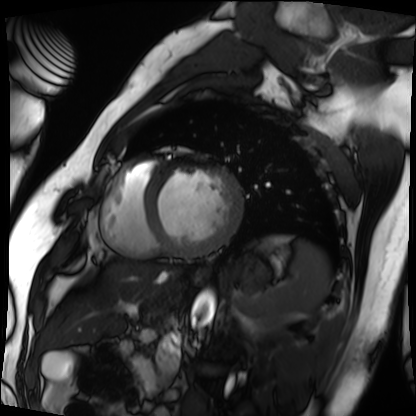
Cardiac MRI.
Subject group: patient.